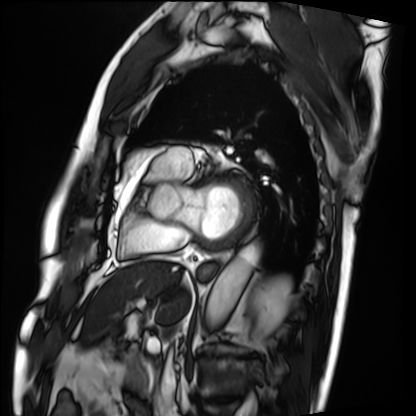
Cardiac MRI.
Subject group: patient.